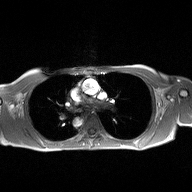
modality = 2D phase-contrast cine MRI of the ascending aorta.